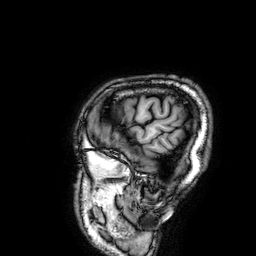
Clinical context:
3 Tesla brain MRI. Series: 3D T1-weighted. Study: ring-enhancing brain masses.